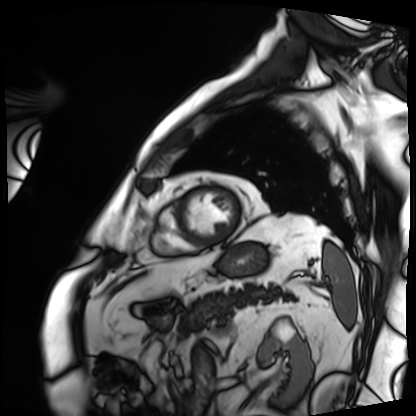
modality = cardiac MRI
subject group = patient